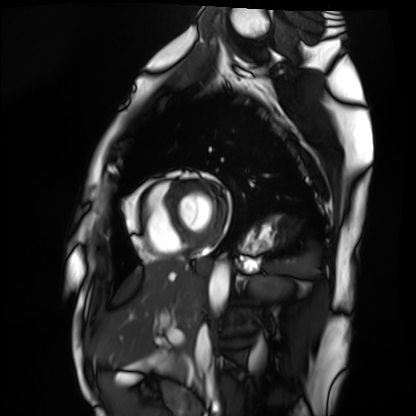
modality = cardiac MRI
subject group = healthy volunteer